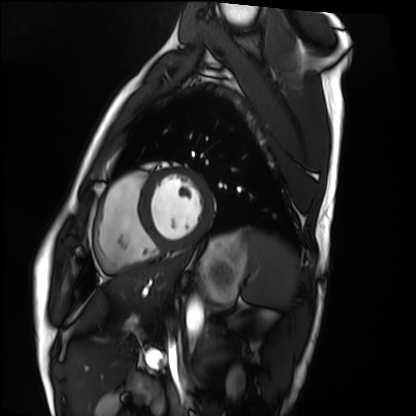
Cardiac MRI.
Subject group: healthy volunteer.